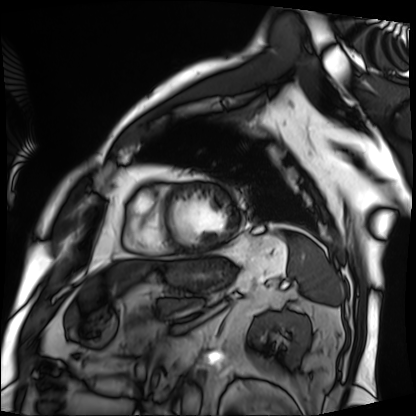
Q: What kind of scan is this?
A: Cardiac MRI.
Subject group: patient.